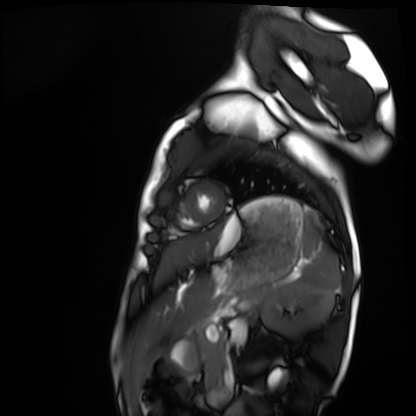
modality: cardiac MRI
subject group: healthy volunteer